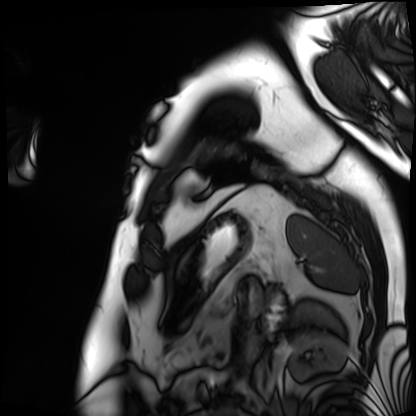
Cardiac MRI. Subject group: patient.